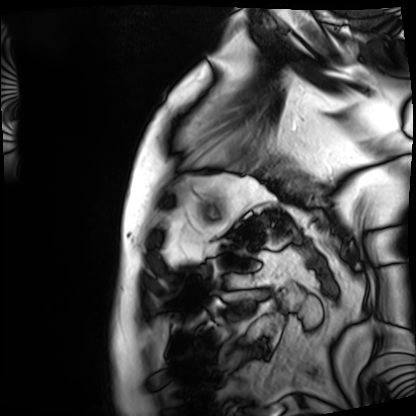
– modality — cardiac MRI
– subject group — patient